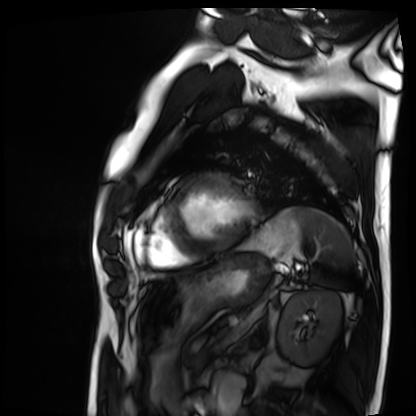
{
  "modality": "cardiac MRI",
  "cohort": "patient"
}